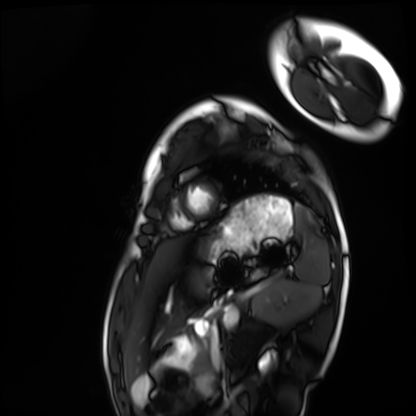
Cardiac MRI.
Subject group: healthy volunteer.